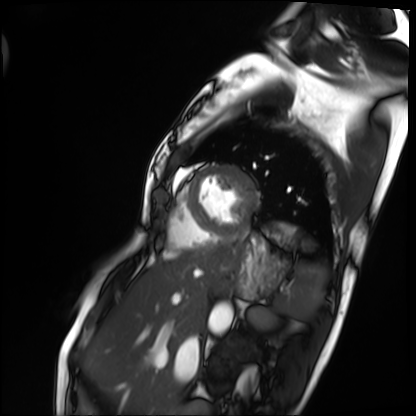
Cardiac MRI. Subject group: patient.